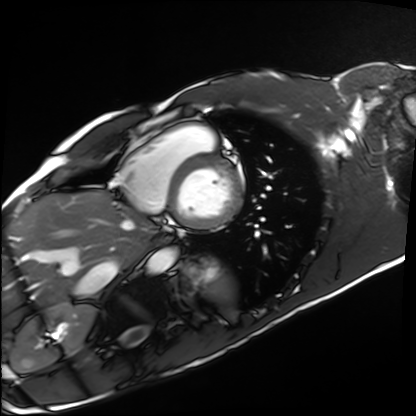
Case:
• modality — cardiac MRI
• subject group — healthy volunteer